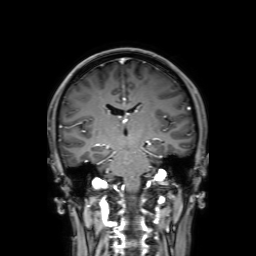
| field | value |
|---|---|
| modality | 3 Tesla brain MRI |
| series | 3D T1-weighted with SENSE |
| study | ring-enhancing brain masses |